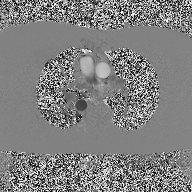
Q: What kind of scan is this?
A: 2D phase-contrast cine MRI of the ascending aorta.